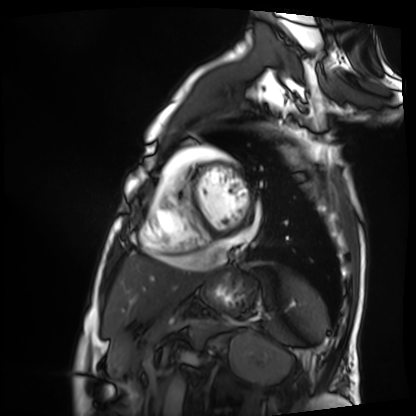
Summary: Cardiac MRI. Subject group: patient.